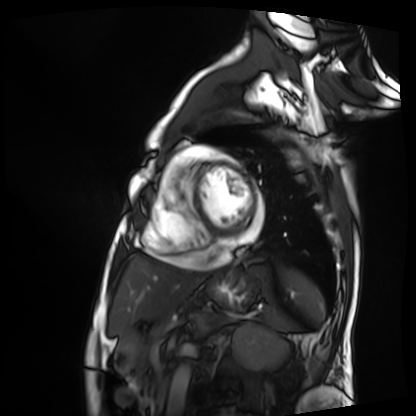
Summary: Cardiac MRI. Subject group: patient.